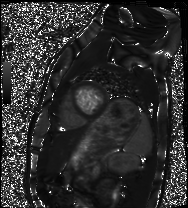
Cardiac MRI. Subject group: healthy volunteer.